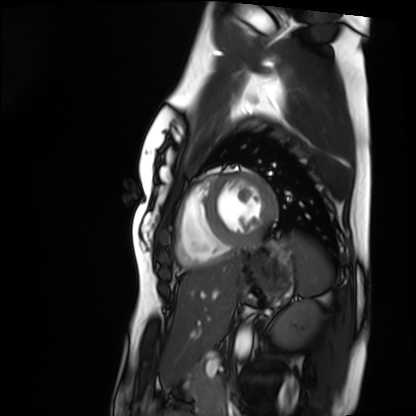
Clinical context:
Cardiac MRI. Subject group: healthy volunteer.